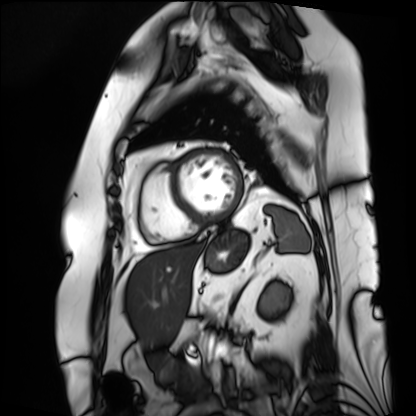
Summary: Cardiac MRI. Subject group: patient.